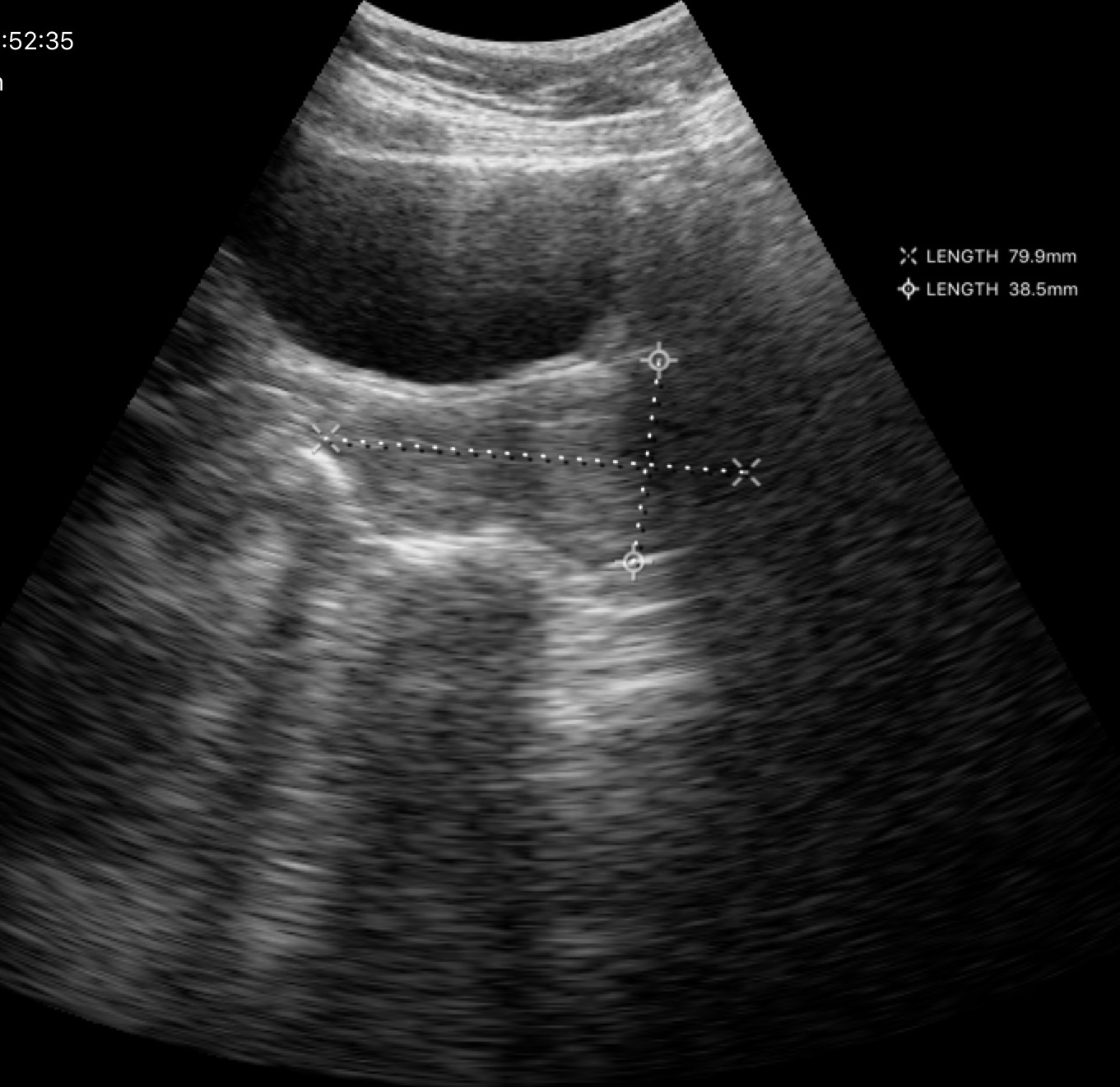
• modality: genitourinary ultrasound